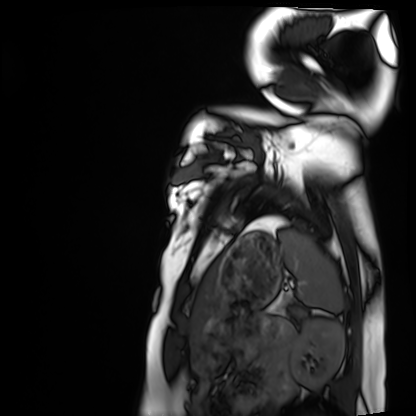
Clinical context: Cardiac MRI. Subject group: healthy volunteer.